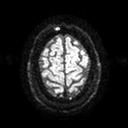
Summary: 3 Tesla brain MRI. Series: diffusion tensor imaging (medium iso). Study: ring-enhancing brain masses.